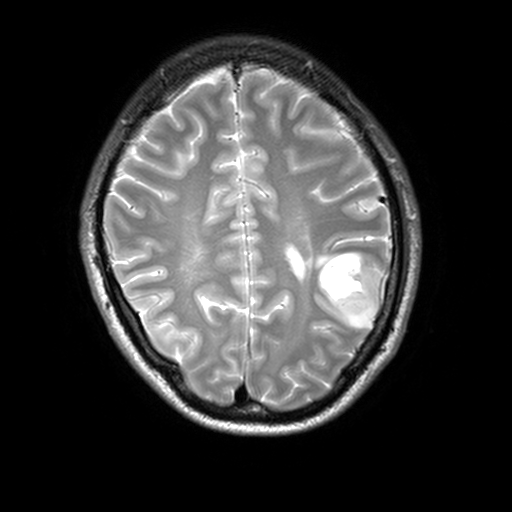
Q: What kind of scan is this?
A: 3 Tesla brain MRI.
Q: Series?
A: T2-weighted turbo spin echo, 3 mm.
Study: ring-enhancing brain masses.